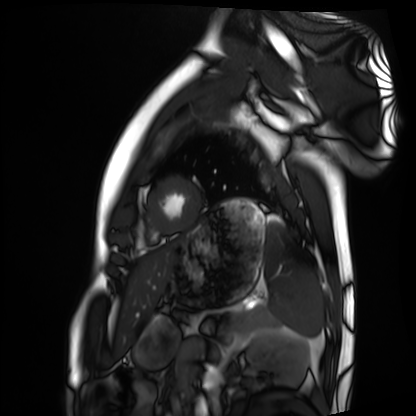
Clinical context: Cardiac MRI. Subject group: healthy volunteer.